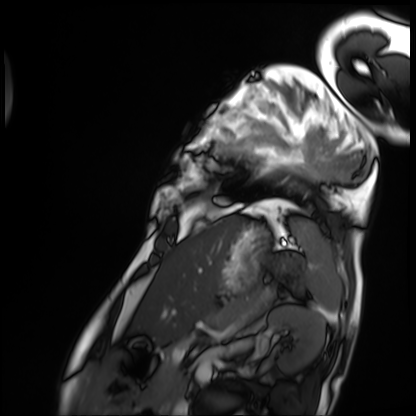
Cardiac MRI. Subject group: patient.